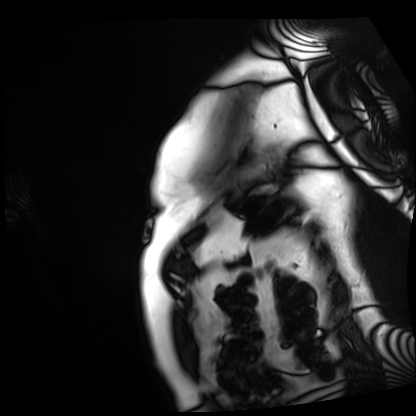
- modality · cardiac MRI
- subject group · patient